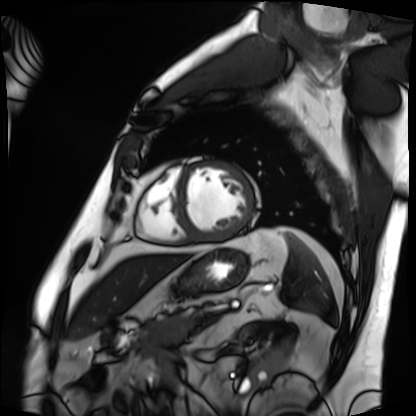
Case summary:
Cardiac MRI. Subject group: patient.